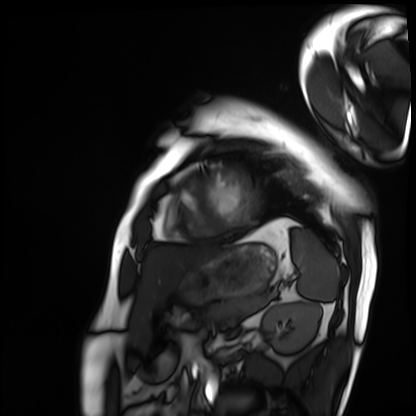
{
  "modality": "cardiac MRI",
  "cohort": "patient"
}